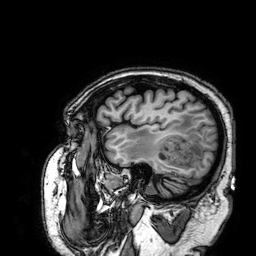
3 Tesla brain MRI. Series: 3D T1-weighted. Study: ring-enhancing brain masses.